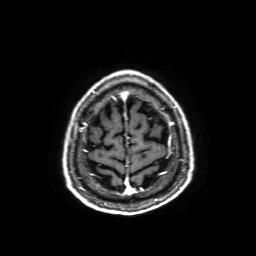
3 Tesla brain MRI.
Series: axial T1-weighted fusion image.
Study: ring-enhancing brain masses.